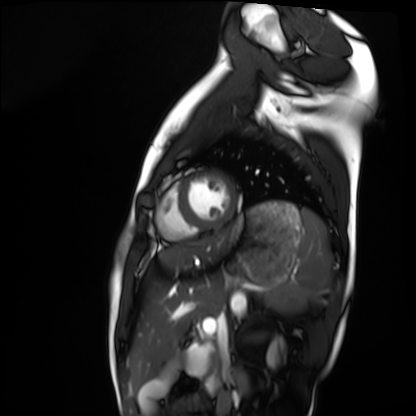
Summary:
Cardiac MRI. Subject group: healthy volunteer.